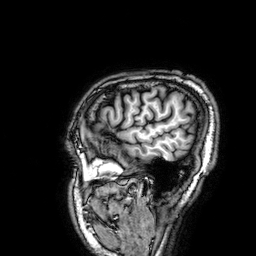
{
  "modality": {
    "type": "brain MRI",
    "field_strength": "3T"
  },
  "series": "3D T1-weighted",
  "study_topic": "ring-enhancing brain masses"
}